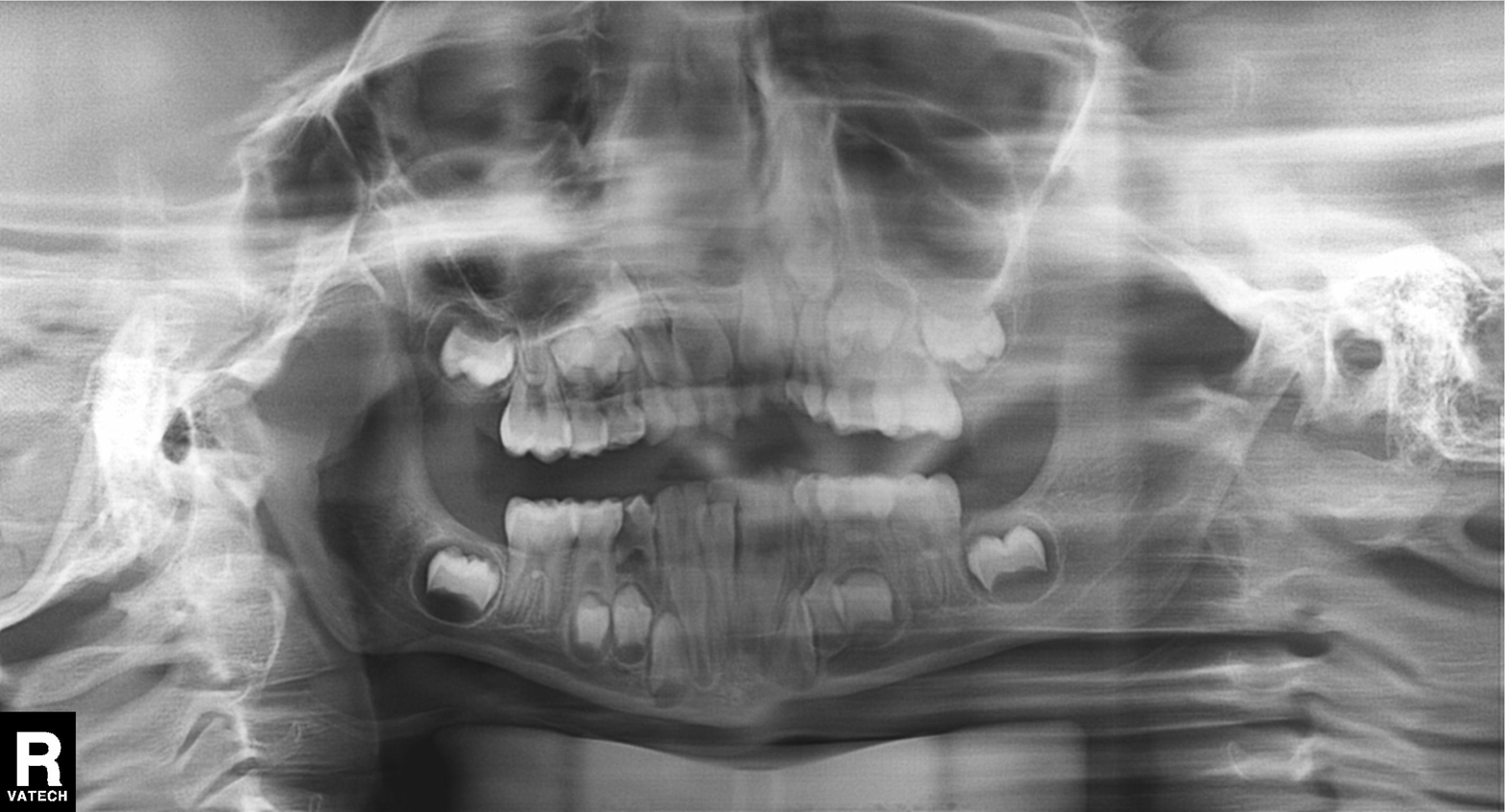
<case>
<modality>panoramic dental radiograph (orthopantomogram)</modality>
<finding>alveolar bone loss</finding>
</case>